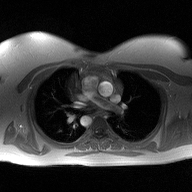
2D phase-contrast cine MRI of the ascending aorta, high-resolution GRAPPA acquisition.